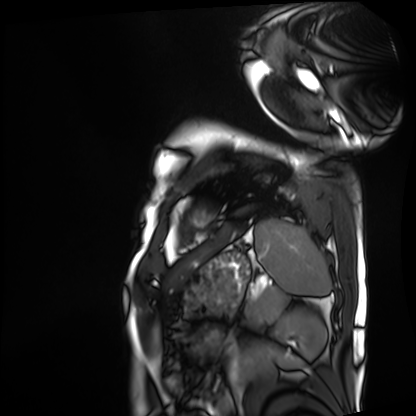
  modality: cardiac MRI
  cohort: patient